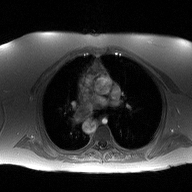
Summary: 2D phase-contrast cine MRI of the ascending aorta, high-resolution GRAPPA acquisition.